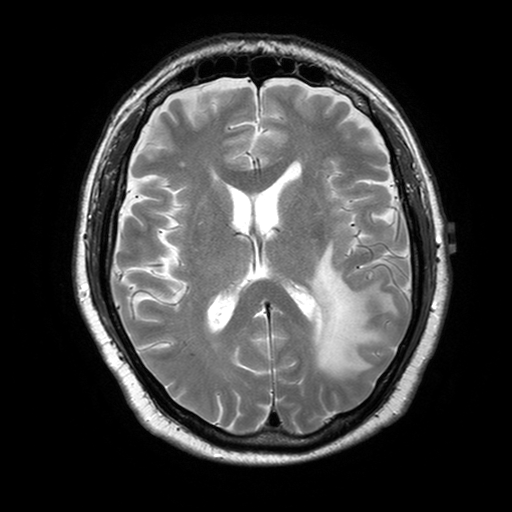
{
  "modality": {
    "type": "brain MRI",
    "field_strength": "3T"
  },
  "study_topic": "ring-enhancing brain masses"
}